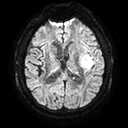
Case summary:
3 Tesla brain MRI. Series: diffusion tensor imaging (medium iso). Study: ring-enhancing brain masses.